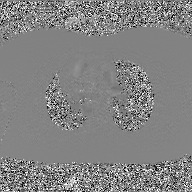
modality=2D phase-contrast cine MRI of the ascending aorta, GAN super-resolution reconstruction